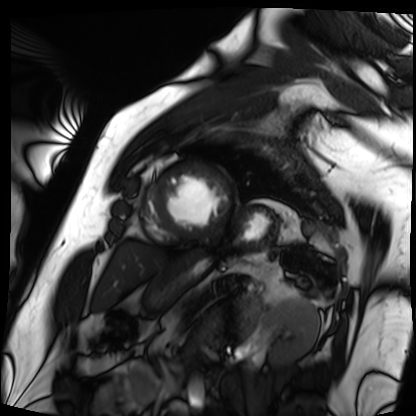
modality = cardiac MRI, subject group = patient.